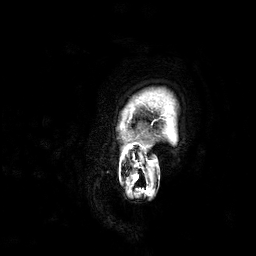
Q: What kind of scan is this?
A: 3 Tesla brain MRI.
Q: Series?
A: 3D T1-weighted.
Study: ring-enhancing brain masses.